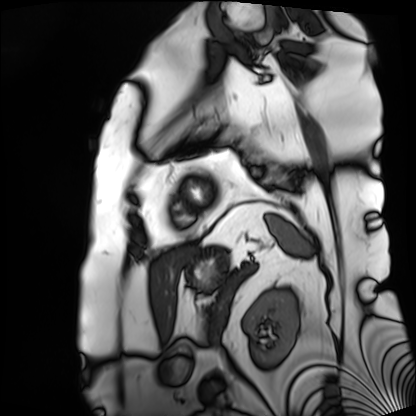
• modality: cardiac MRI
• subject group: patient